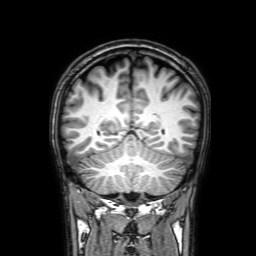
modality: 3 Tesla brain MRI
series: 3D T1-weighted with SENSE
study: ring-enhancing brain masses